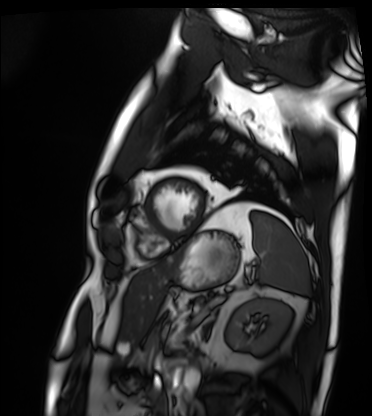
Cardiac MRI.
Subject group: patient.